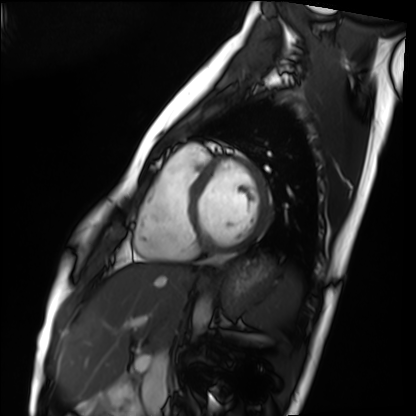
Cardiac MRI. Subject group: healthy volunteer.